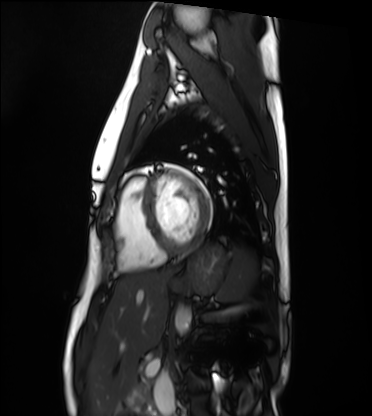
<record>
  <modality>cardiac MRI</modality>
  <cohort>healthy volunteer</cohort>
</record>